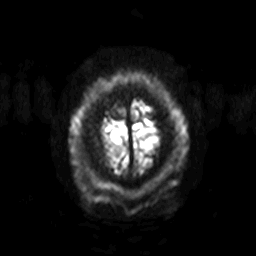
Summary: 3 Tesla brain MRI. Series: diffusion-weighted imaging with SENSE (WIP). Study: ring-enhancing brain masses.